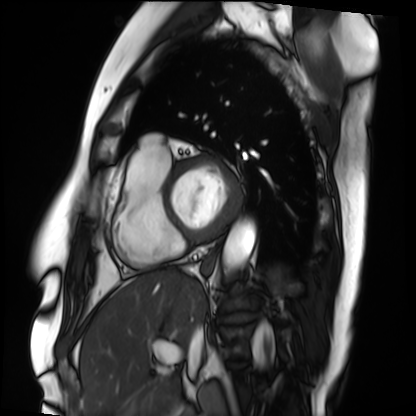
Cardiac MRI. Subject group: patient.